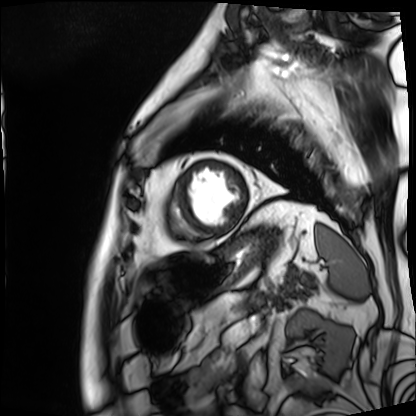
Cardiac MRI. Subject group: patient.